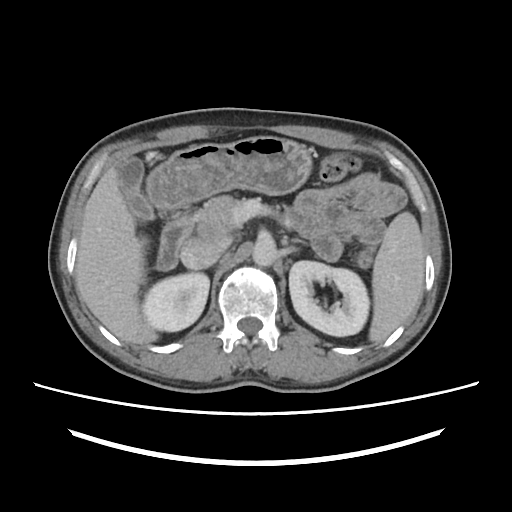
{
  "modality": {
    "type": "multiphase abdominal CT",
    "region": "liver",
    "phase": "portal venous"
  },
  "patient": {
    "sex": "male",
    "age": 50
  }
}